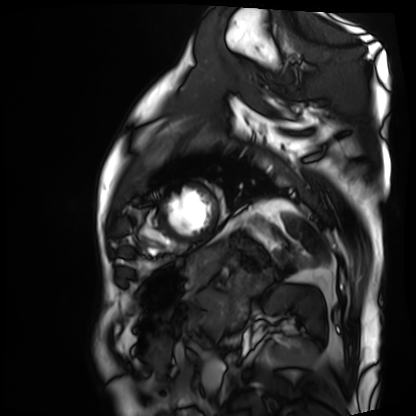
Clinical context:
Cardiac MRI. Subject group: patient.